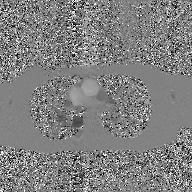
Case:
- modality · 2D phase-contrast cine MRI of the ascending aorta, GAN super-resolution reconstruction